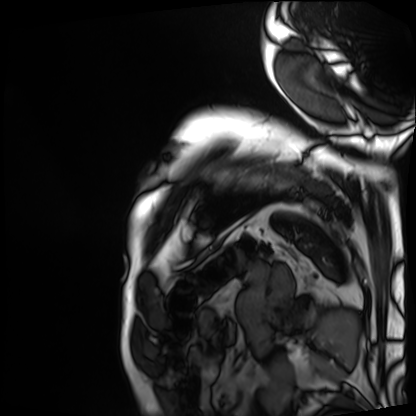
modality = cardiac MRI | subject group = patient.